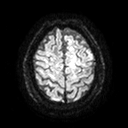
3 Tesla brain MRI. Series: diffusion tensor imaging (medium iso). Study: ring-enhancing brain masses.